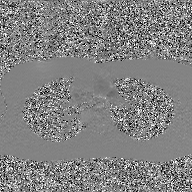
modality: 2D phase-contrast cine MRI of the ascending aorta, GAN super-resolution reconstruction.